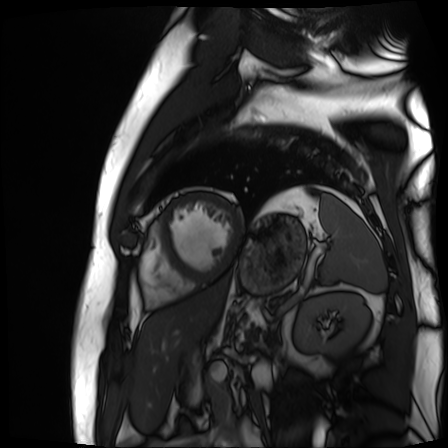
Cardiac MR image of the myocardium. Subject cohort: cardiac patient.